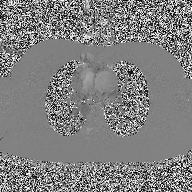
Case summary:
2D phase-contrast cine MRI of the ascending aorta, high-resolution GRAPPA acquisition.